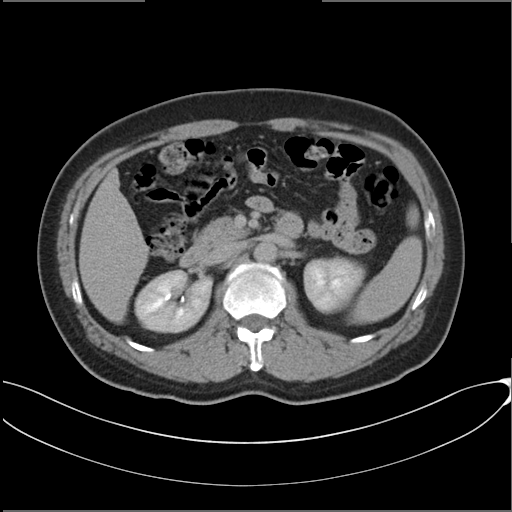
Summary: Multiphase abdominal CT, liver, delayed phase. Patient: male, age 49. History: cirrhosis, viral hepatitis.